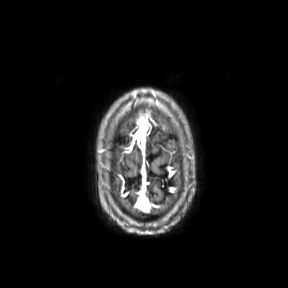
3 Tesla brain MRI.
Series: axial.
Study: ring-enhancing brain masses.